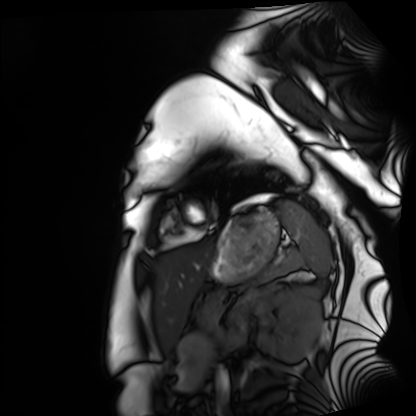
Clinical context: Cardiac MRI. Subject group: healthy volunteer.